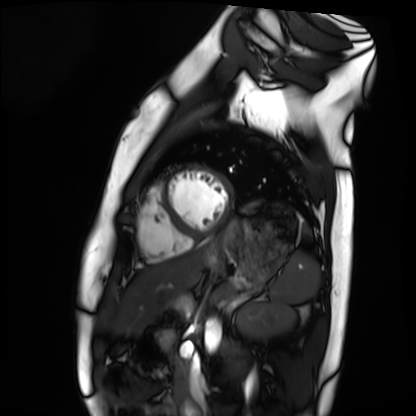
Case:
– modality — cardiac MRI
– subject group — healthy volunteer